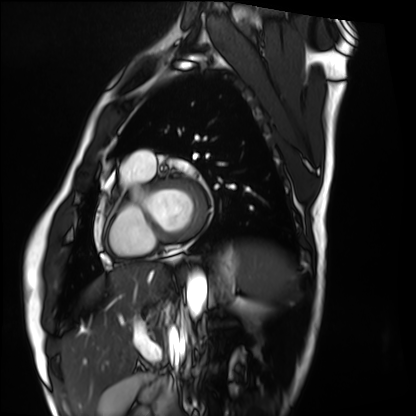
{"modality": "cardiac MRI", "cohort": "healthy volunteer"}